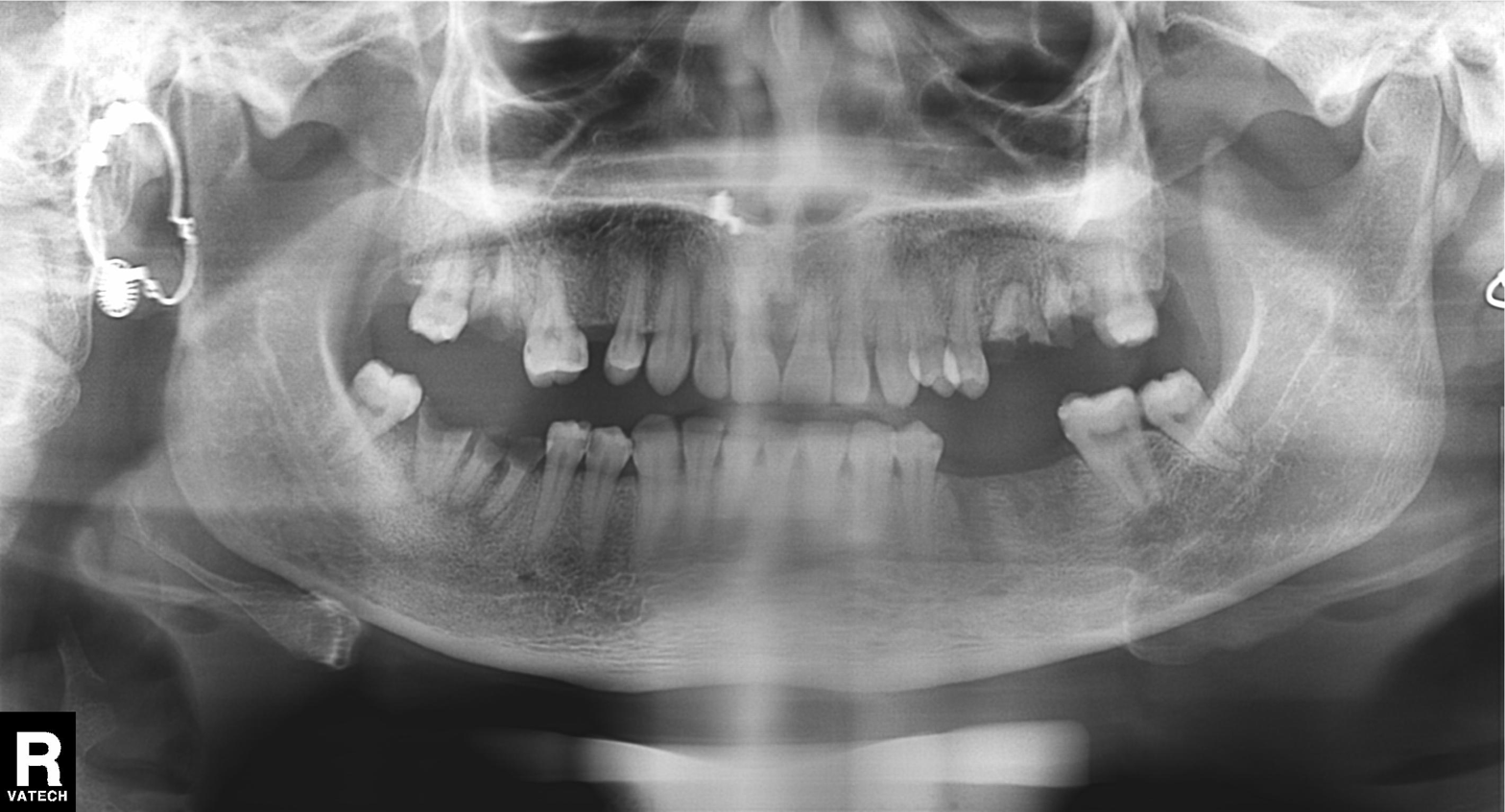
Panoramic dental radiograph (orthopantomogram). Finding: tooth impaction.